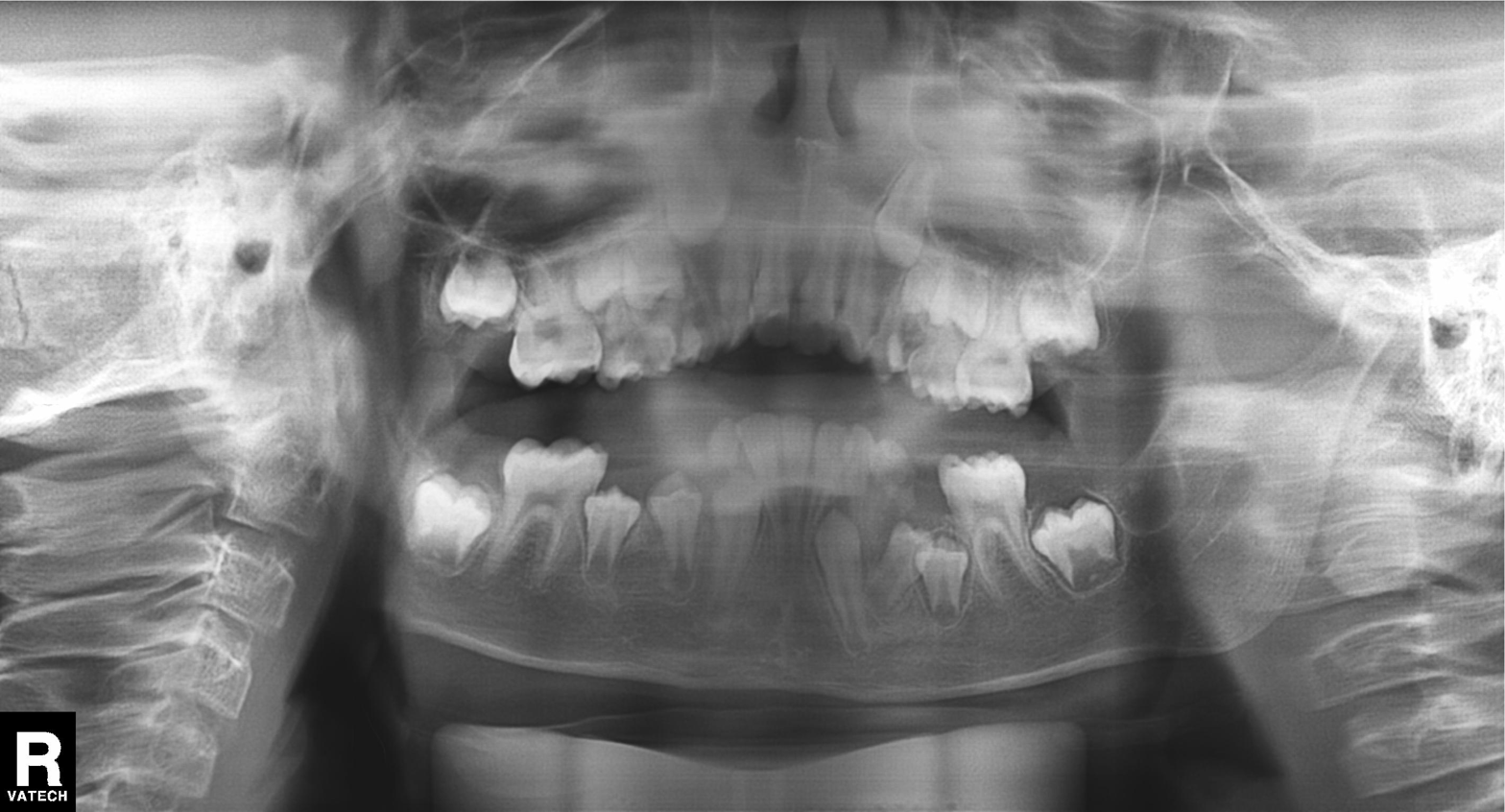
Panoramic dental radiograph (orthopantomogram). Finding: alveolar bone loss.